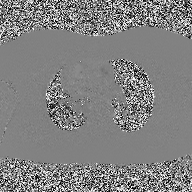
modality — 2D phase-contrast cine MRI of the ascending aorta.